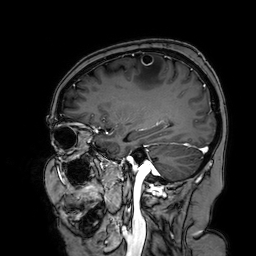
3 Tesla brain MRI.
Series: 3D T1-weighted turbo field echo with SENSE.
Study: ring-enhancing brain masses.